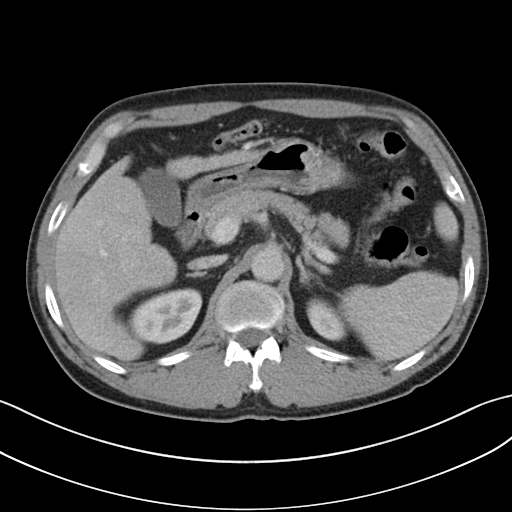
modality:
  type: multiphase abdominal CT
  region: liver
  phase: portal venous
patient:
  sex: male
  age: 58
history:
  - cirrhosis
  - viral hepatitis